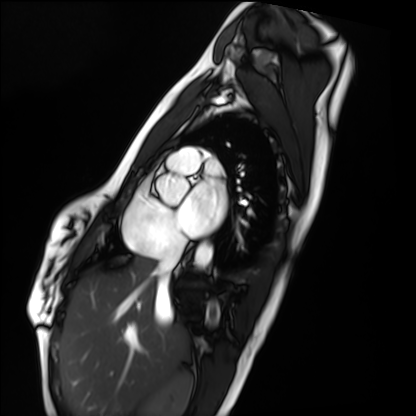
– modality: cardiac MRI
– subject group: healthy volunteer